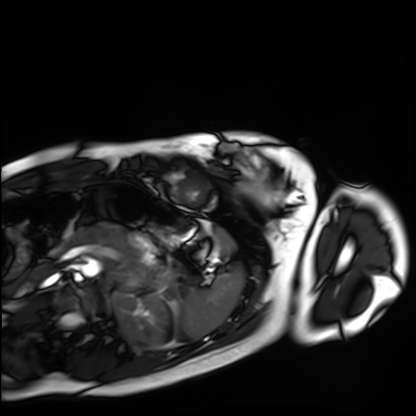
Cardiac MRI. Subject group: healthy volunteer.